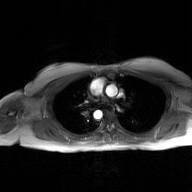
2D phase-contrast cine MRI of the ascending aorta, GAN super-resolution reconstruction.